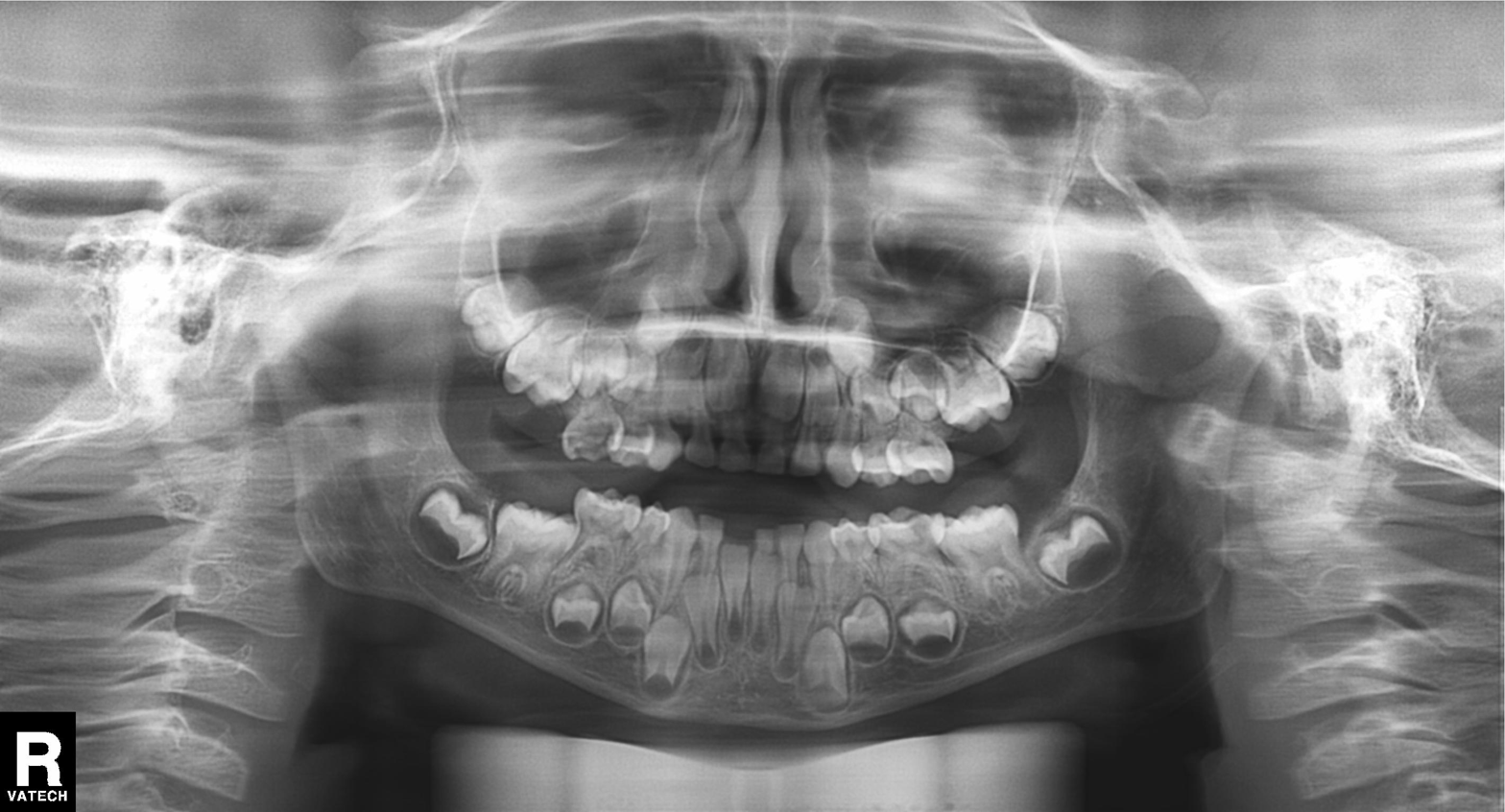
Q: What kind of scan is this?
A: Panoramic dental radiograph (orthopantomogram).
Q: What is the radiographic finding?
A: Alveolar bone loss.